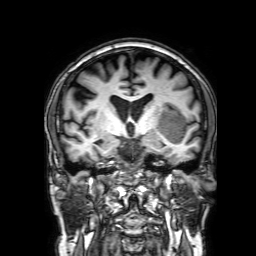
3 Tesla brain MRI.
Series: 3D T1-weighted with SENSE.
Study: ring-enhancing brain masses.